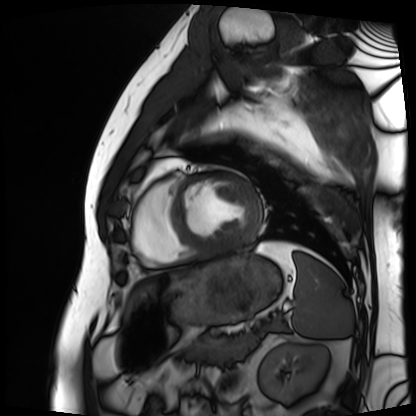
Cardiac MRI. Subject group: patient.